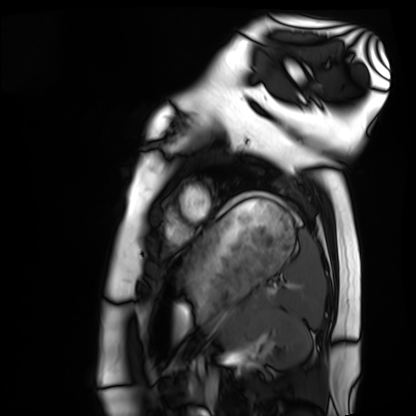
Cardiac MRI.
Subject group: healthy volunteer.